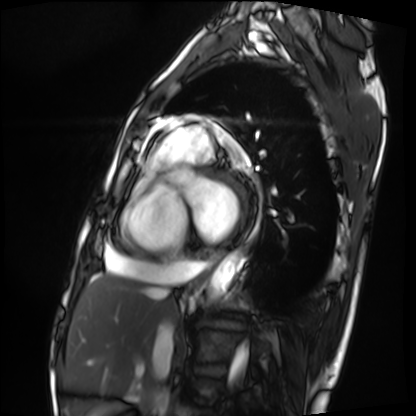
Q: What kind of scan is this?
A: Cardiac MRI.
Subject group: patient.